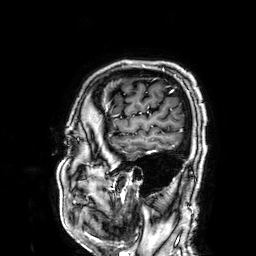
3 Tesla brain MRI.
Series: 3D T1-weighted.
Study: ring-enhancing brain masses.